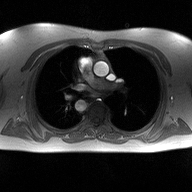
Case:
• modality · 2D phase-contrast cine MRI of the ascending aorta